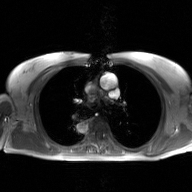
  modality:
    type: 2D phase-contrast cine MRI
    region: ascending aorta
    reconstruction: GAN super-resolution reconstruction